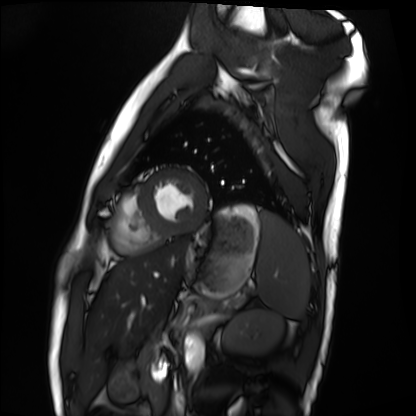
Cardiac MRI. Subject group: healthy volunteer.